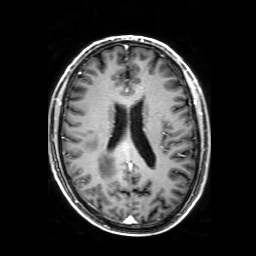
modality: 3 Tesla brain MRI
series: 3D T1-weighted with SENSE
study: ring-enhancing brain masses